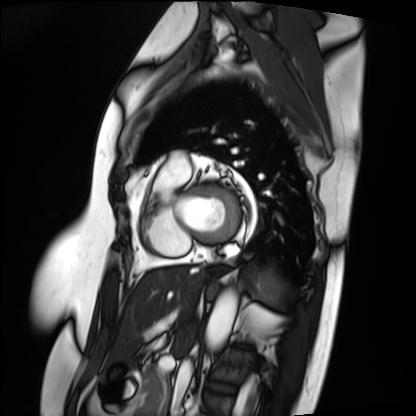
Summary:
Cardiac MRI. Subject group: patient.